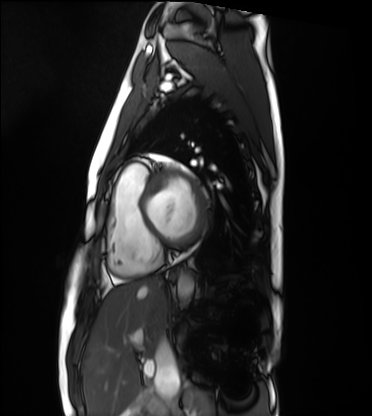
| field | value |
|---|---|
| modality | cardiac MRI |
| subject group | healthy volunteer |